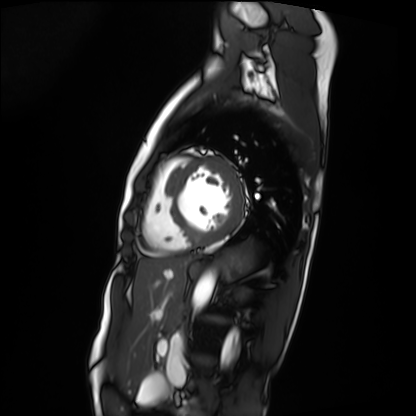
Cardiac MRI. Subject group: patient.